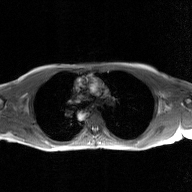
<case>
<modality>
  <type>2D phase-contrast cine MRI</type>
  <region>ascending aorta</region>
  <reconstruction>GAN super-resolution reconstruction</reconstruction>
</modality>
</case>